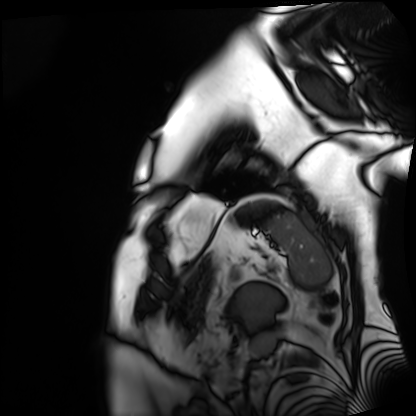
Clinical context: Cardiac MRI. Subject group: patient.